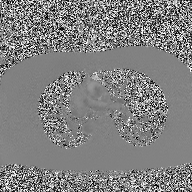
modality:
  type: 2D phase-contrast cine MRI
  region: ascending aorta
  reconstruction: high-resolution GRAPPA acquisition